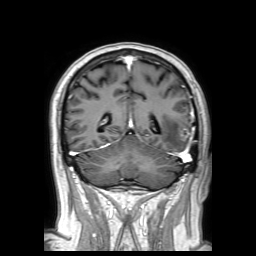
• modality · 3 Tesla brain MRI
• series · 3D T1-weighted TFE with SENSE
• study · ring-enhancing brain masses